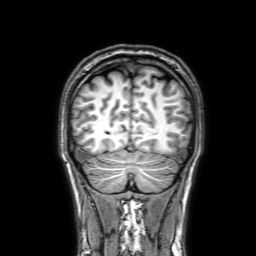
Clinical context: 3 Tesla brain MRI. Series: 3D T1-weighted with SENSE. Study: ring-enhancing brain masses.